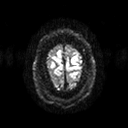
modality = 3 Tesla brain MRI
series = diffusion tensor imaging (medium iso)
study = ring-enhancing brain masses